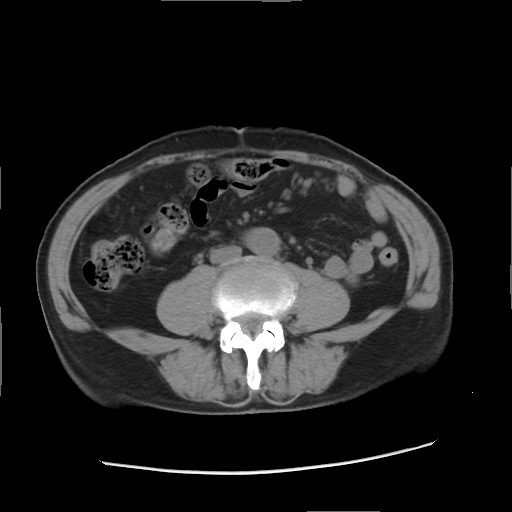
Case summary: Multiphase abdominal CT, liver, non-contrast phase. Patient: male, age 76.